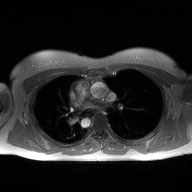
Case summary: 2D phase-contrast cine MRI of the ascending aorta, high-resolution GRAPPA acquisition.